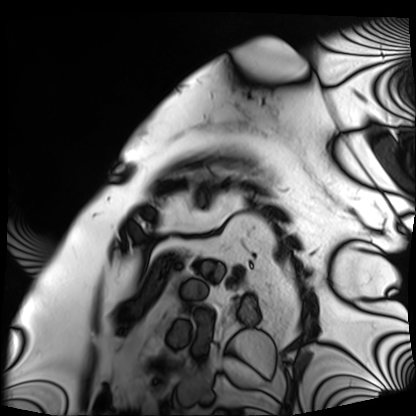
<study>
<modality>cardiac MRI</modality>
<cohort>patient</cohort>
</study>